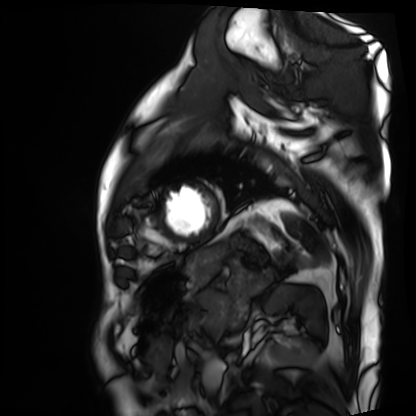
Case summary:
Cardiac MRI. Subject group: patient.